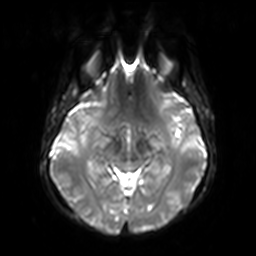
Case summary:
3 Tesla brain MRI. Series: diffusion-weighted imaging with SENSE (WIP). Study: ring-enhancing brain masses.